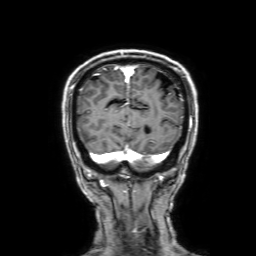
  modality:
    type: brain MRI
    field_strength: 3T
  series: 3D T1-weighted with SENSE
  study_topic: ring-enhancing brain masses